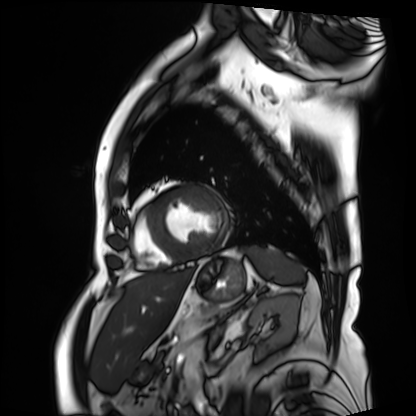
<study>
<modality>cardiac MRI</modality>
<cohort>patient</cohort>
</study>